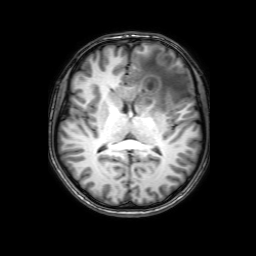
Case:
– modality · 3 Tesla brain MRI
– series · 3D T1-weighted with SENSE
– study · ring-enhancing brain masses